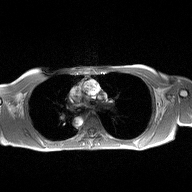
Clinical context:
2D phase-contrast cine MRI of the ascending aorta, high-resolution GRAPPA acquisition.